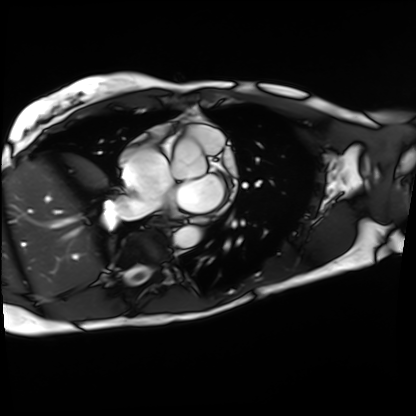
Case summary: Cardiac MRI. Subject group: patient.